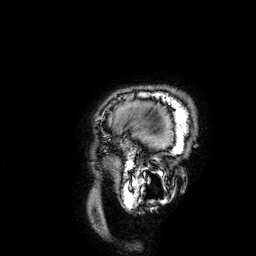
3 Tesla brain MRI. Series: 3D T1-weighted. Study: ring-enhancing brain masses.